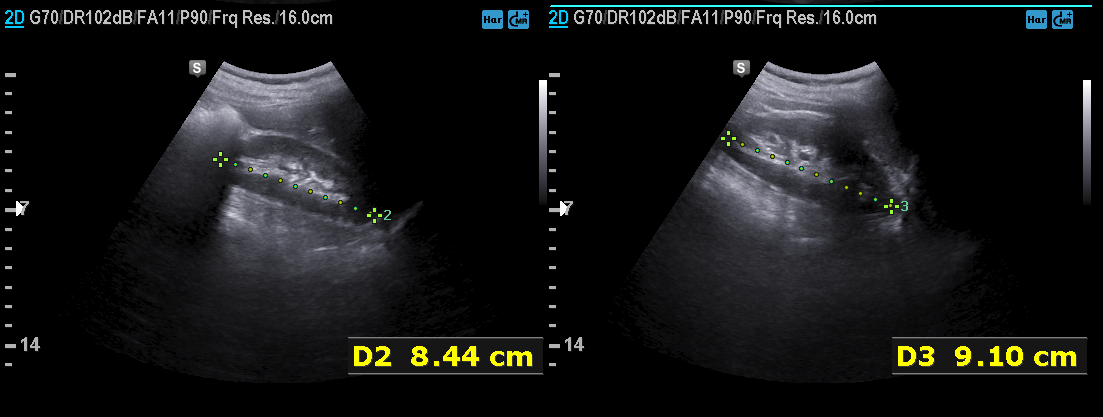
Summary: Genitourinary ultrasound.